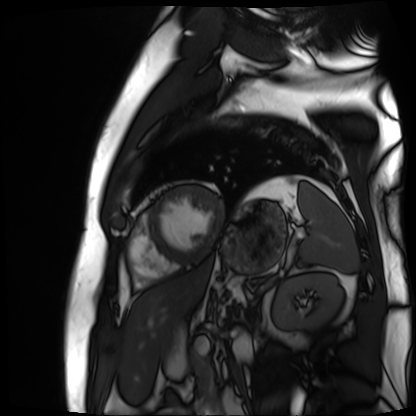
Cardiac MR image of the myocardium.
Subject cohort: cardiac patient.